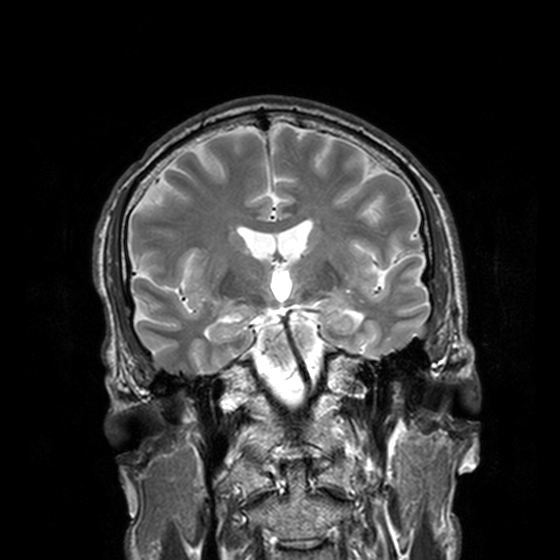
modality=3 Tesla brain MRI; series=T2-weighted turbo spin echo, 3 mm; study=ring-enhancing brain masses.